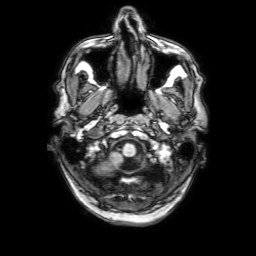
{
  "modality": {
    "type": "brain MRI",
    "field_strength": "3T"
  },
  "series": "3D T1-weighted with SENSE",
  "study_topic": "ring-enhancing brain masses"
}